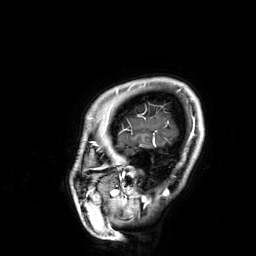
modality — 3 Tesla brain MRI
series — 3D T1-weighted
study — ring-enhancing brain masses